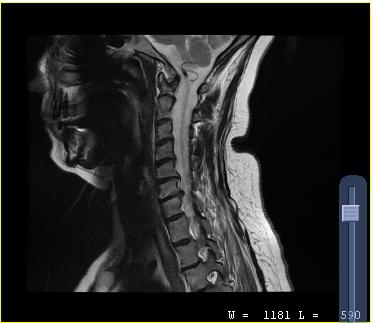
  modality:
    type: cervical spine MRI
  study_topic: cervical spondylosis